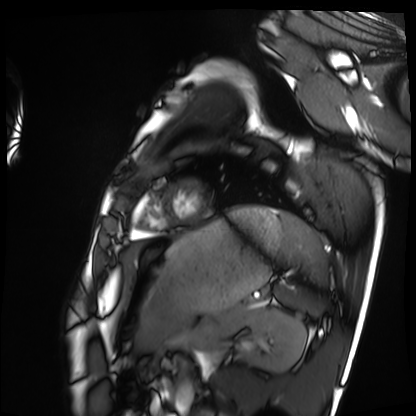
Clinical context:
Cardiac MRI. Subject group: healthy volunteer.